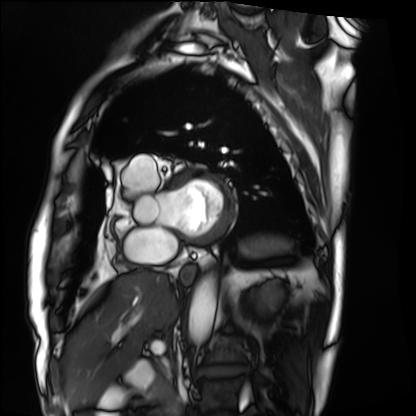
Cardiac MRI. Subject group: patient.